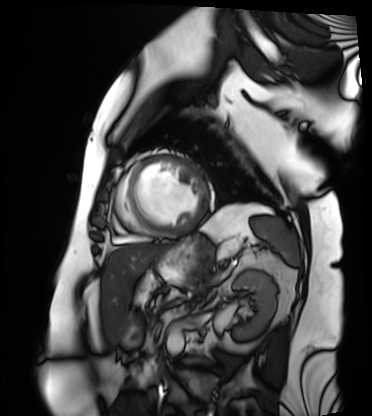
Cardiac MRI. Subject group: patient.